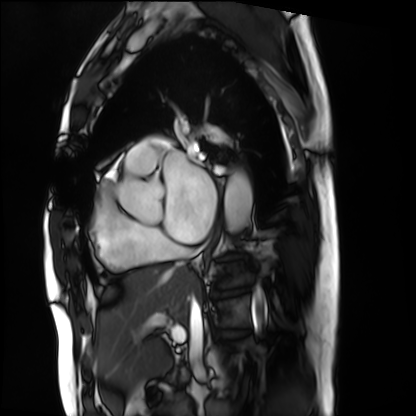
– modality — cardiac MRI
– subject group — patient